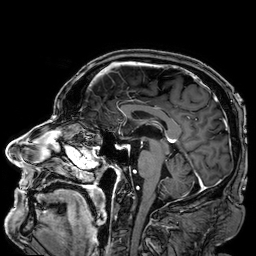
{"modality": {"type": "brain MRI", "field_strength": "3T"}, "series": "3D T1-weighted", "study_topic": "ring-enhancing brain masses"}